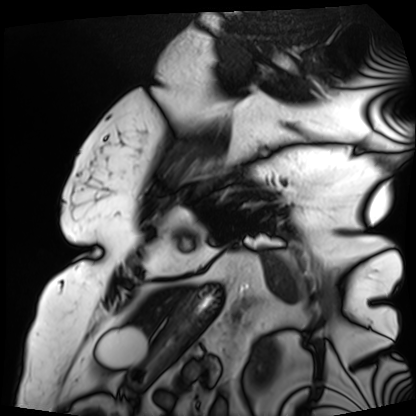
Cardiac MRI. Subject group: patient.